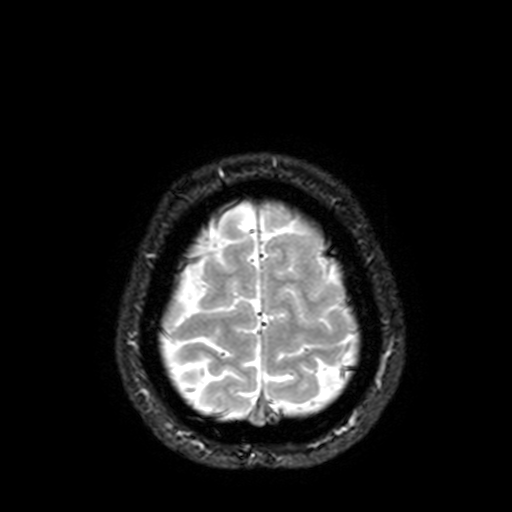
3 Tesla brain MRI.
Series: T2-weighted fast field echo with SENSE.
Study: ring-enhancing brain masses.